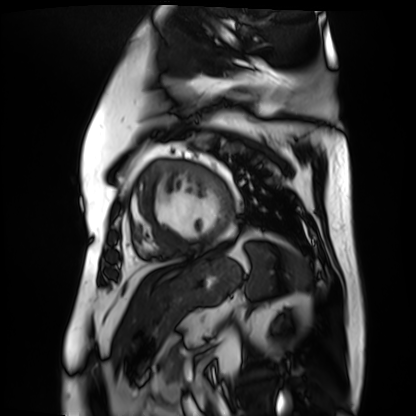
Case summary:
Cardiac MR image of the myocardium. Subject cohort: cardiac patient.